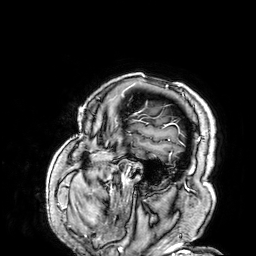
Summary: 3 Tesla brain MRI. Series: 3D T1-weighted. Study: ring-enhancing brain masses.